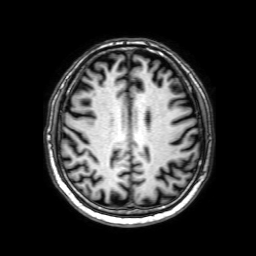
– modality — 3 Tesla brain MRI
– series — 3D T1-weighted with SENSE
– study — ring-enhancing brain masses